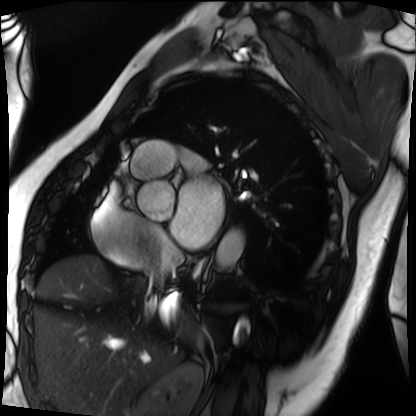
Q: What kind of scan is this?
A: Cardiac MRI.
Subject group: patient.